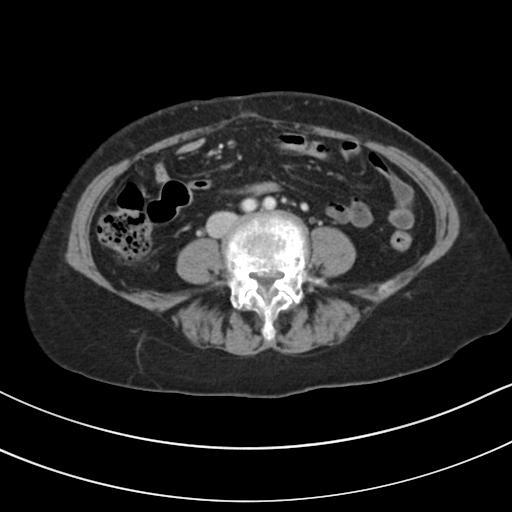
Q: What kind of scan is this?
A: Multiphase abdominal CT, liver, portal venous phase.
Q: Patient?
A: Female, age 61.